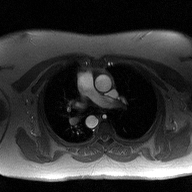
Q: What kind of scan is this?
A: 2D phase-contrast cine MRI of the ascending aorta.